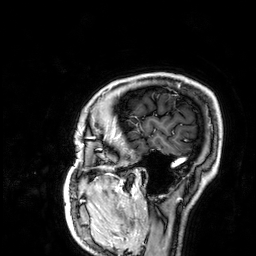
Clinical context: 3 Tesla brain MRI. Series: 3D T1-weighted. Study: ring-enhancing brain masses.